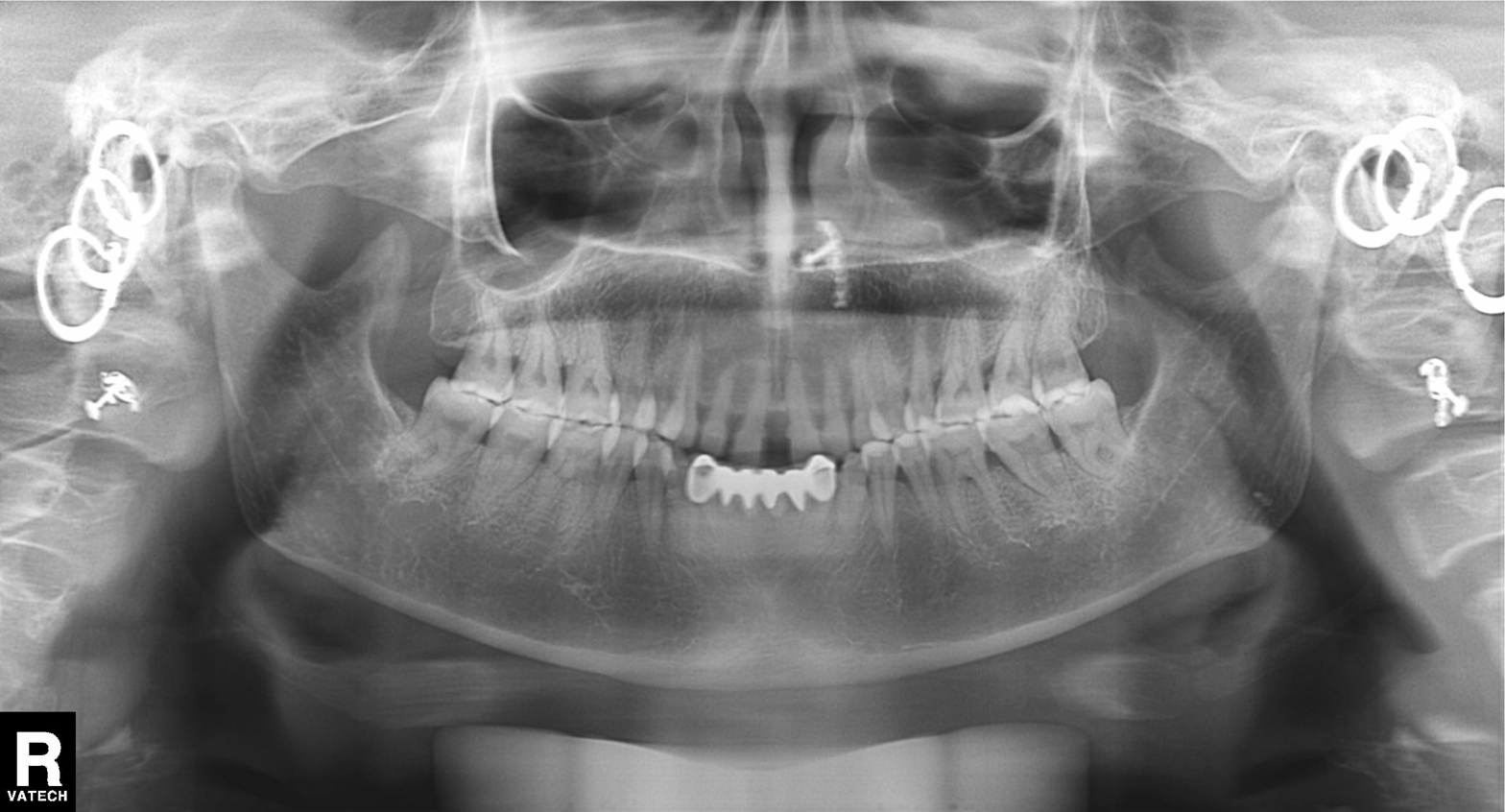
Panoramic dental radiograph (orthopantomogram).
Finding: dental caries (cavities).